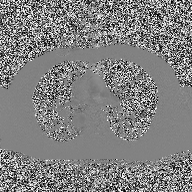
modality: 2D phase-contrast cine MRI of the ascending aorta.